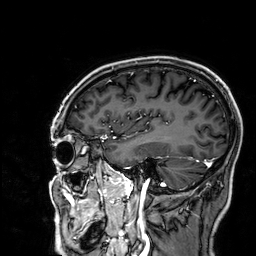
| field | value |
|---|---|
| modality | 3 Tesla brain MRI |
| series | 3D T1-weighted |
| study | ring-enhancing brain masses |